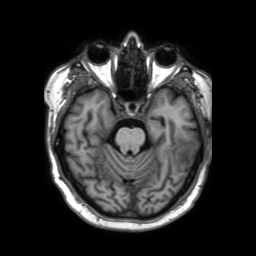
Clinical context: 3 Tesla brain MRI. Series: 3D T1-weighted TFE with SENSE. Study: ring-enhancing brain masses.